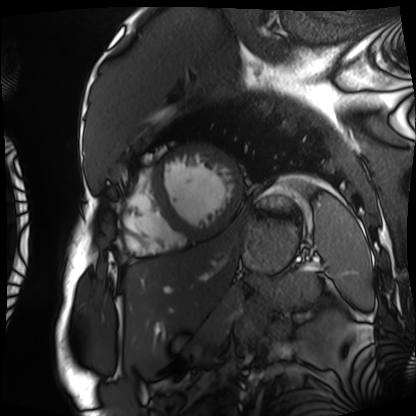
modality = cardiac MRI
subject group = patient